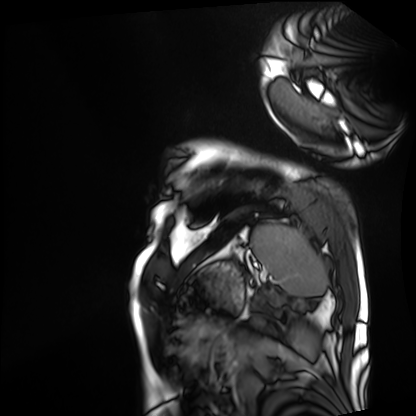
Cardiac MRI. Subject group: patient.